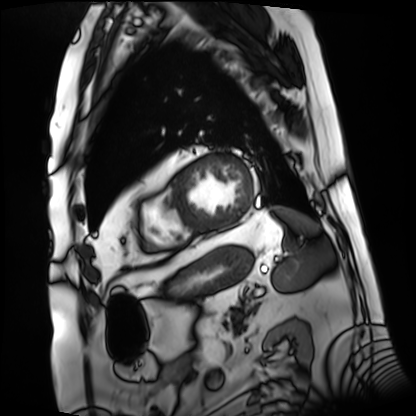
– modality: cardiac MRI
– subject group: patient